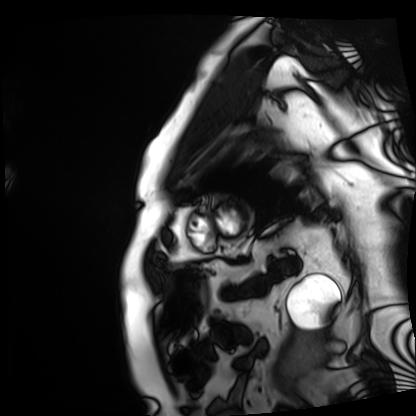
| field | value |
|---|---|
| modality | cardiac MRI |
| subject group | patient |